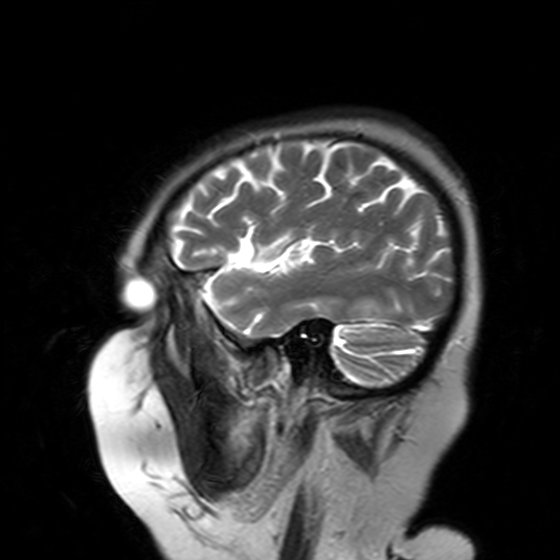
3 Tesla brain MRI. Series: T2-weighted turbo spin echo with SENSE. Study: ring-enhancing brain masses.